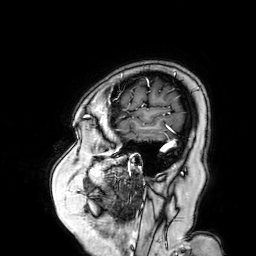
modality: 3 Tesla brain MRI
series: 3D T1-weighted turbo field echo with SENSE
study: ring-enhancing brain masses